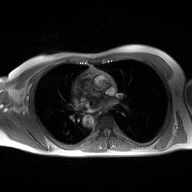
2D phase-contrast cine MRI of the ascending aorta, high-resolution GRAPPA acquisition.